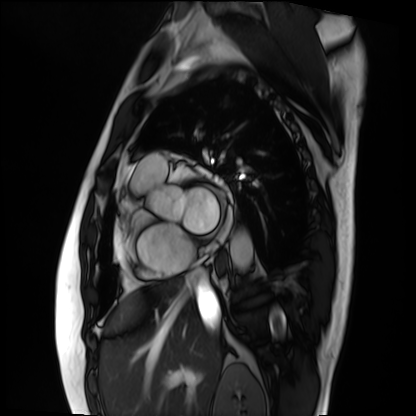
modality = cardiac MRI
subject group = patient